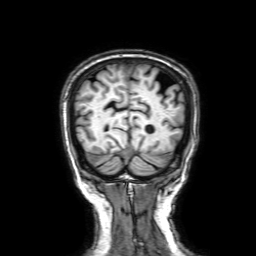
3 Tesla brain MRI. Series: 3D T1-weighted with SENSE. Study: ring-enhancing brain masses.